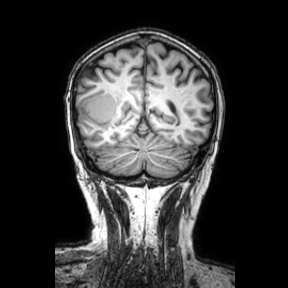
Summary:
3 Tesla brain MRI. Series: coronal. Study: ring-enhancing brain masses.